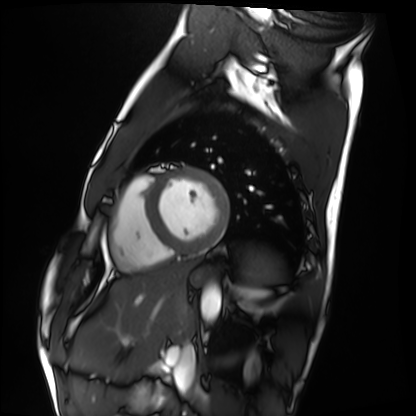
Q: What kind of scan is this?
A: Cardiac MRI.
Subject group: healthy volunteer.